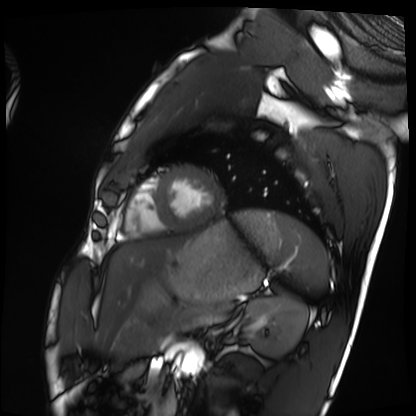
Cardiac MRI.
Subject group: healthy volunteer.